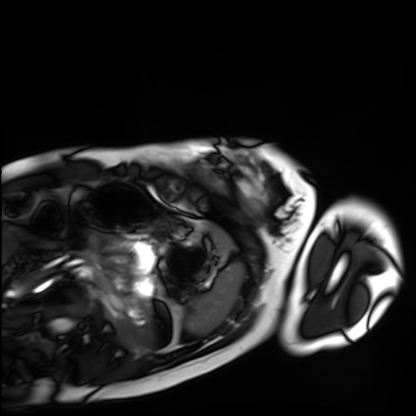
Clinical context:
Cardiac MRI. Subject group: healthy volunteer.